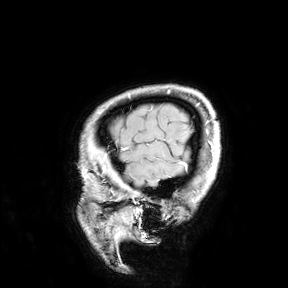
3 Tesla brain MRI.
Study: ring-enhancing brain masses.